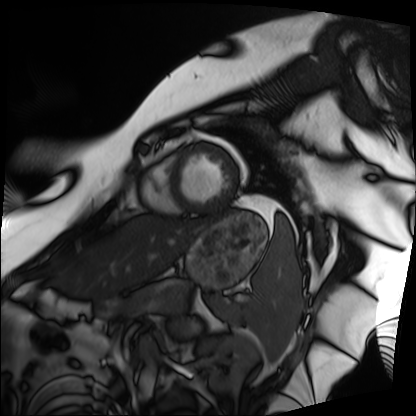
Q: What kind of scan is this?
A: Cardiac MRI.
Subject group: patient.